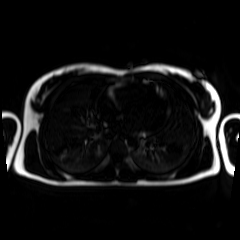
modality: chemical-shift-encoded cardiac MRI